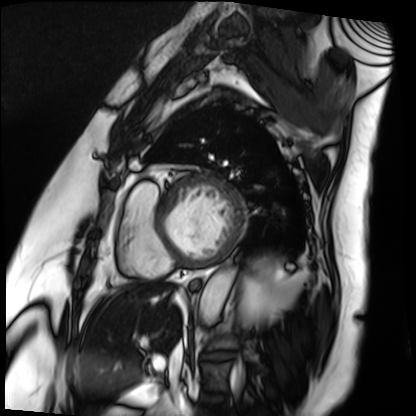
Cardiac MRI. Subject group: patient.